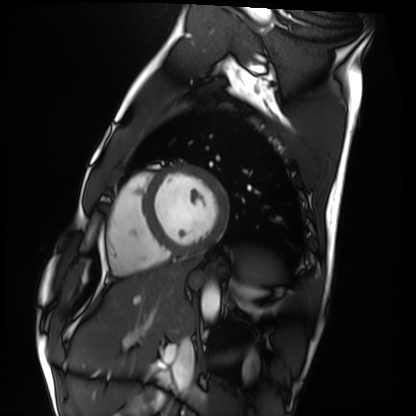
• modality — cardiac MRI
• subject group — healthy volunteer